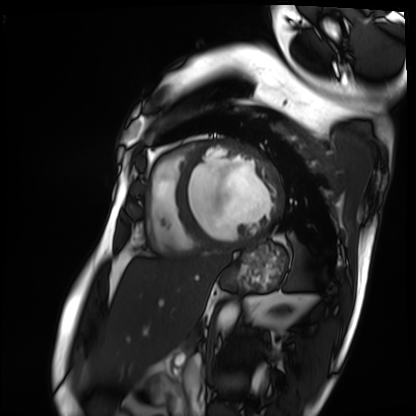
Q: What kind of scan is this?
A: Cardiac MRI.
Subject group: patient.